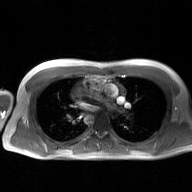
2D phase-contrast cine MRI of the ascending aorta, GAN super-resolution reconstruction.